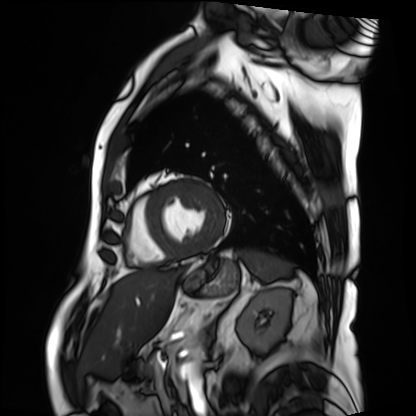
Q: What kind of scan is this?
A: Cardiac MRI.
Subject group: patient.